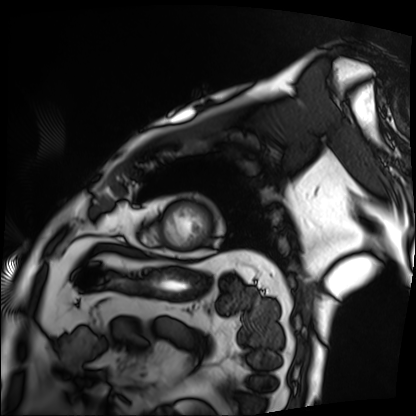
Cardiac MRI. Subject group: patient.